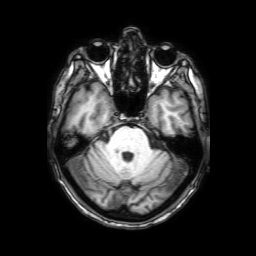
• modality — 3 Tesla brain MRI
• series — 3D T1-weighted with SENSE
• study — ring-enhancing brain masses